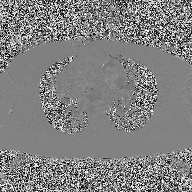
2D phase-contrast cine MRI of the ascending aorta, high-resolution GRAPPA acquisition.